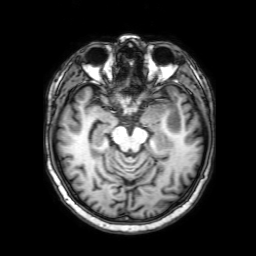
3 Tesla brain MRI. Series: 3D T1-weighted with SENSE. Study: ring-enhancing brain masses.